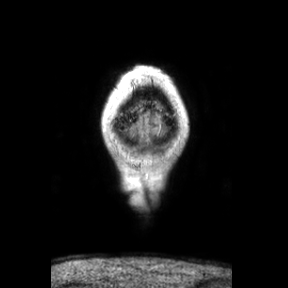
modality — 3 Tesla brain MRI | series — coronal | study — ring-enhancing brain masses.